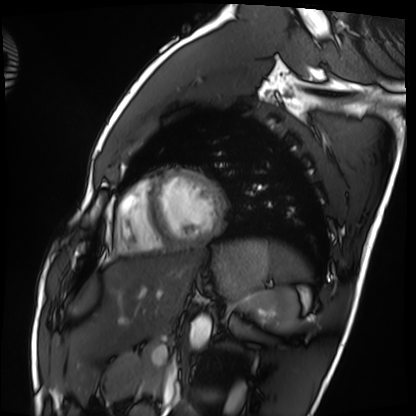
  modality: cardiac MRI
  cohort: healthy volunteer